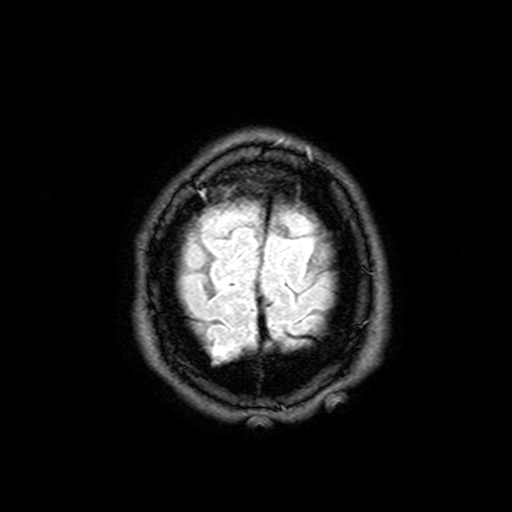
  modality:
    type: brain MRI
    field_strength: 3T
  series: FLAIR with SPAIR, 3 mm
  study_topic: ring-enhancing brain masses